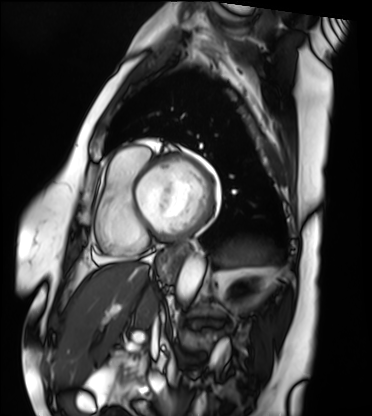
{"modality": "cardiac MRI", "cohort": "patient"}